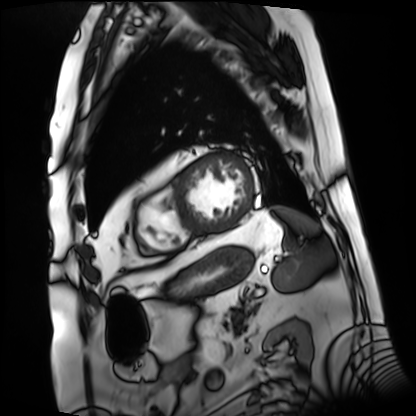
Cardiac MRI. Subject group: patient.